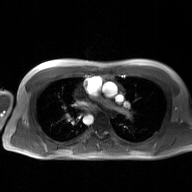
modality = 2D phase-contrast cine MRI of the ascending aorta, GAN super-resolution reconstruction.